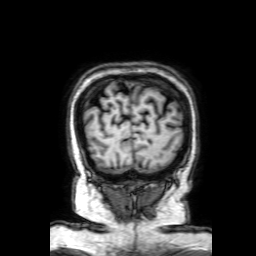
Summary:
3 Tesla brain MRI. Series: 3D T1-weighted with SENSE. Study: ring-enhancing brain masses.